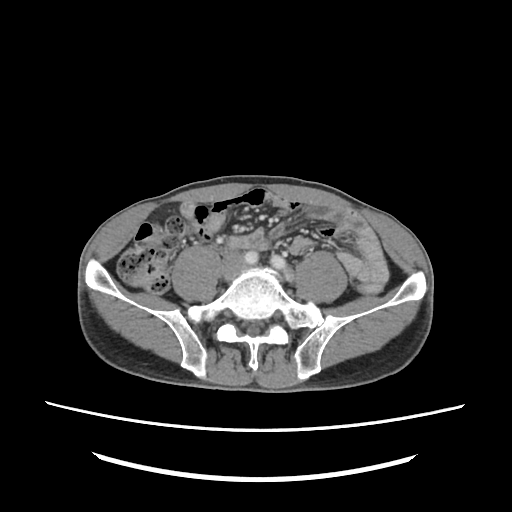
Q: What kind of scan is this?
A: Multiphase abdominal CT, liver, portal venous phase.
Q: Patient?
A: Male, age 60.